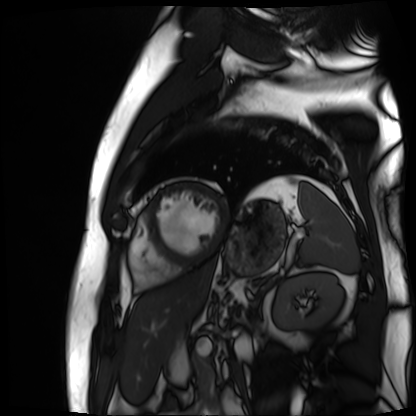
modality: cardiac MR image of the myocardium; subject cohort: cardiac patient.